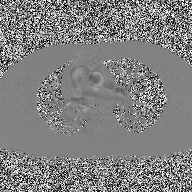
– modality — 2D phase-contrast cine MRI of the ascending aorta